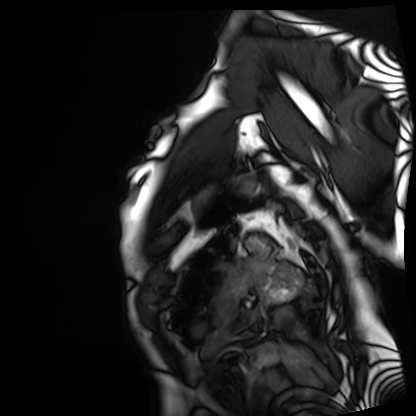
* modality · cardiac MRI
* subject group · patient